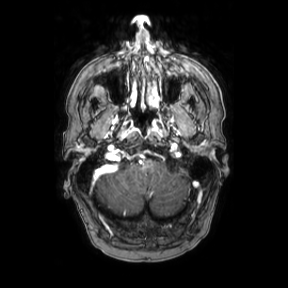
modality = 3 Tesla brain MRI | series = axial | study = ring-enhancing brain masses.